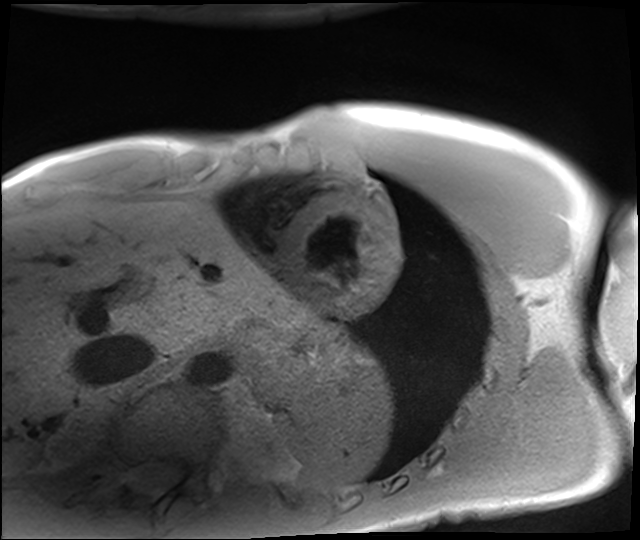
Clinical context: Cardiac MRI. Subject group: healthy volunteer.